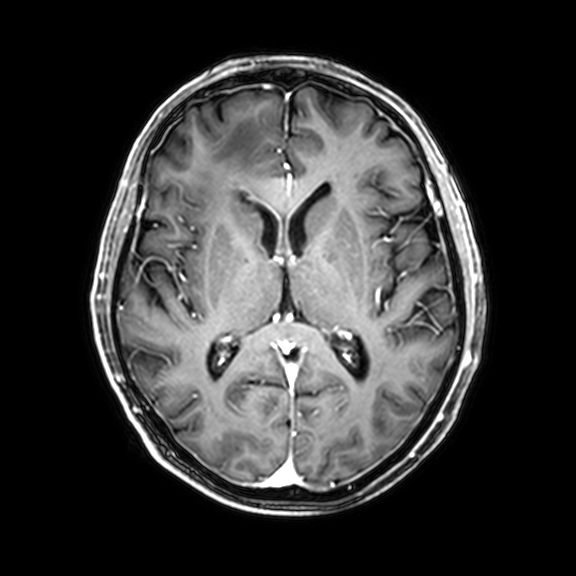
3 Tesla brain MRI. Series: 3D T1-weighted with CLEAR. Study: ring-enhancing brain masses.